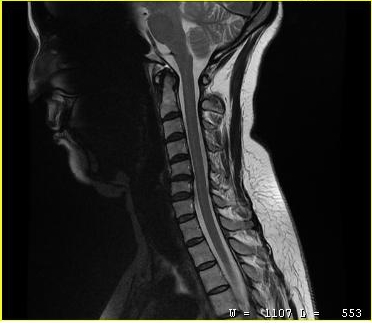
modality: MRI of the cervical spine
study: cervical spondylosis